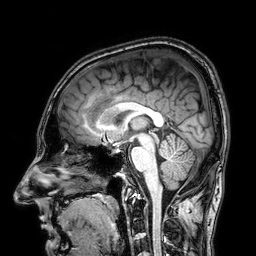
modality: 3 Tesla brain MRI | series: 3D T1-weighted | study: ring-enhancing brain masses.